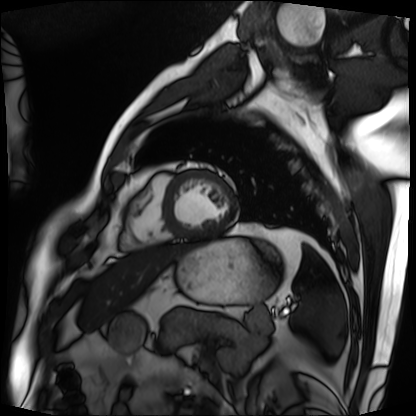
{"modality": "cardiac MRI", "cohort": "patient"}